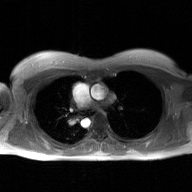
Q: What kind of scan is this?
A: 2D phase-contrast cine MRI of the ascending aorta, GAN super-resolution reconstruction.